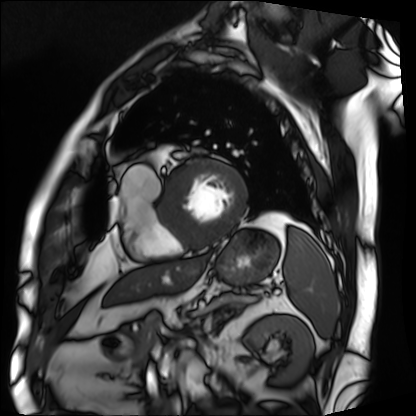
| field | value |
|---|---|
| modality | cardiac MRI |
| subject group | patient |